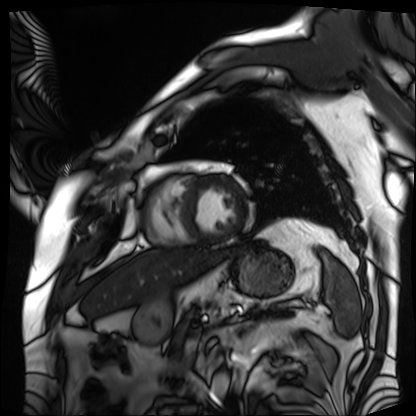
Q: What kind of scan is this?
A: Cardiac MRI.
Subject group: patient.